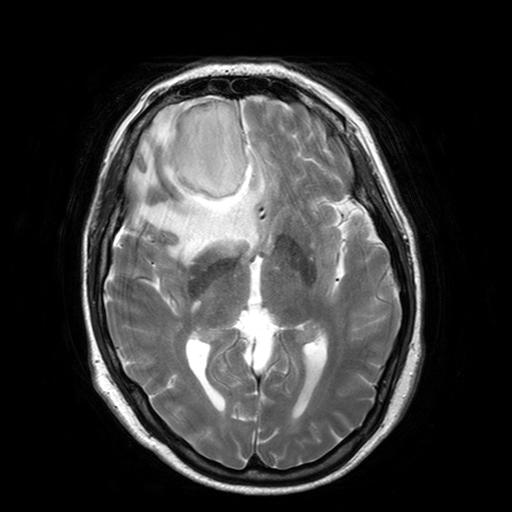
Q: What kind of scan is this?
A: 3 Tesla brain MRI.
Q: Series?
A: T2-weighted turbo spin echo with SENSE.
Study: ring-enhancing brain masses.